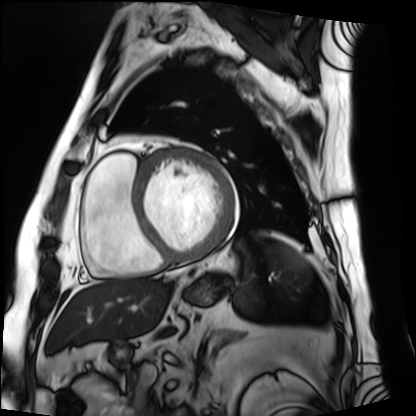
Cardiac MRI.
Subject group: patient.